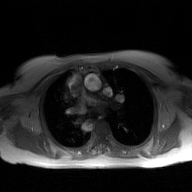
Clinical context: 2D phase-contrast cine MRI of the ascending aorta, GAN super-resolution reconstruction.